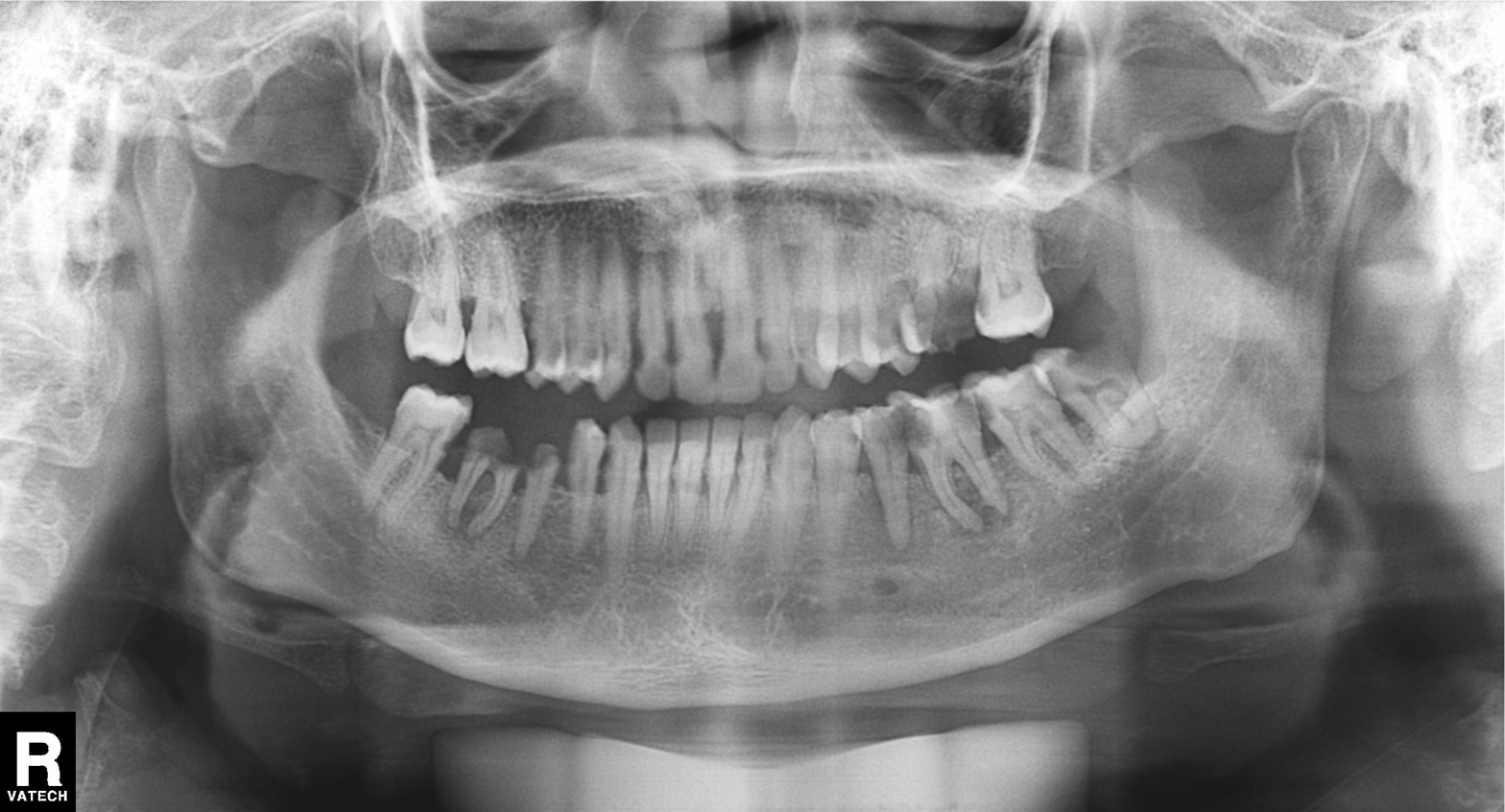
Case summary:
Panoramic dental radiograph (orthopantomogram).
Assessment:
Dental caries (cavities).